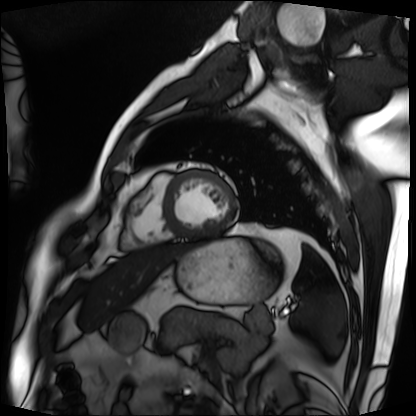
Summary: Cardiac MRI. Subject group: patient.